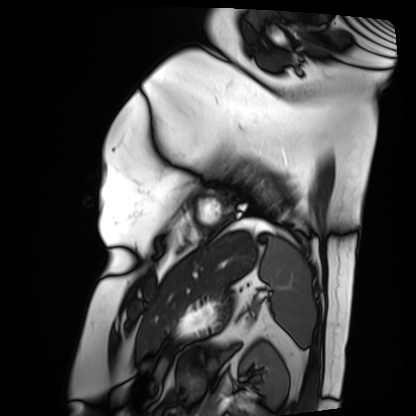
Case summary: Cardiac MRI. Subject group: patient.